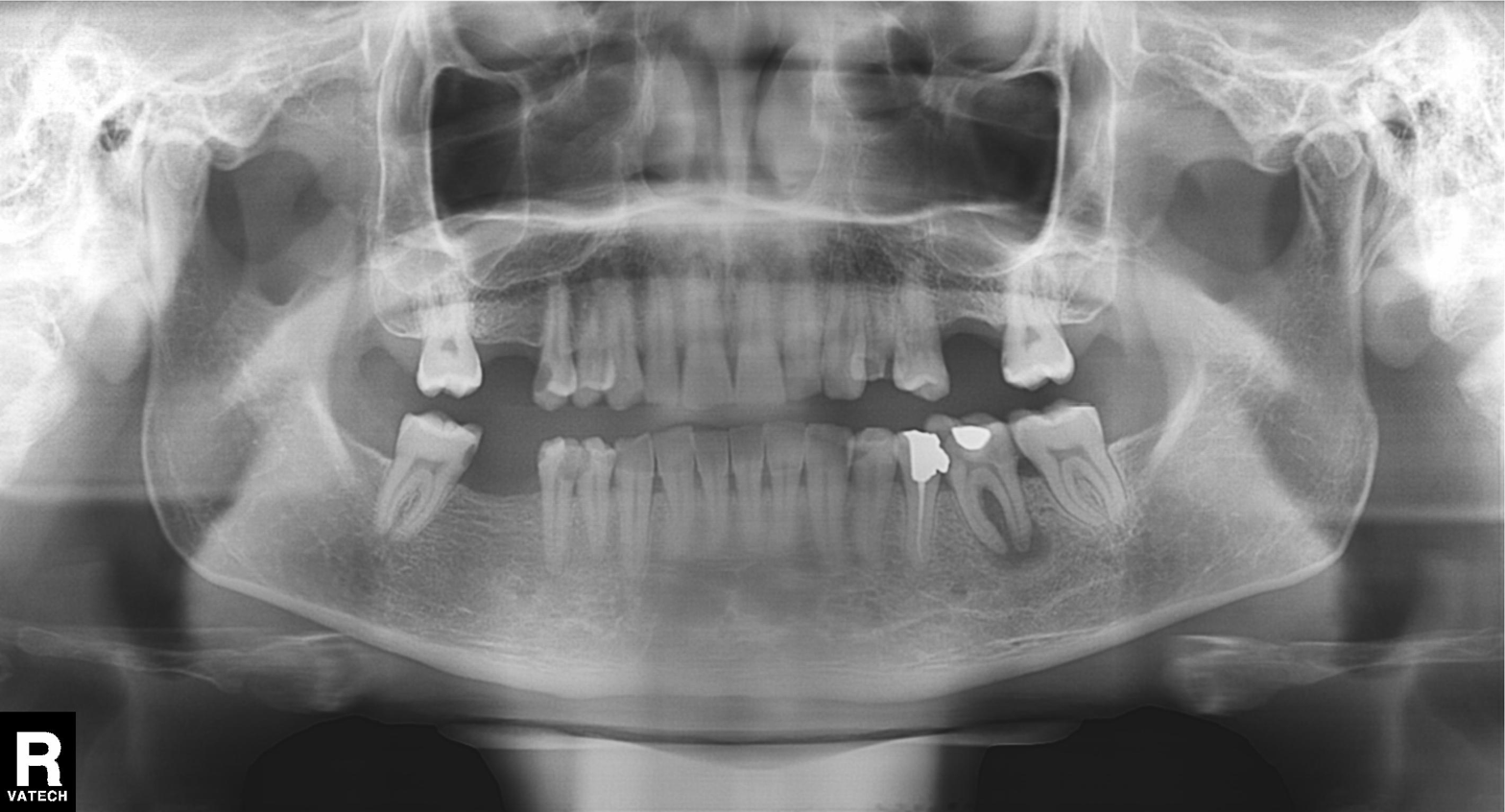
• modality — panoramic dental radiograph (orthopantomogram)
• finding — dental caries (cavities)